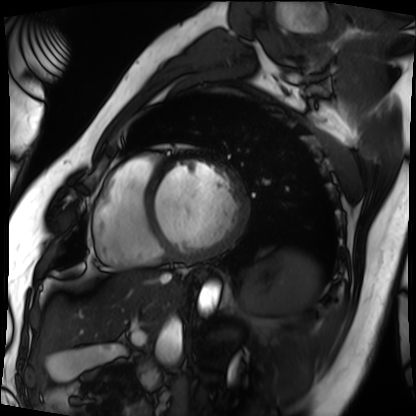
- modality — cardiac MRI
- subject group — patient